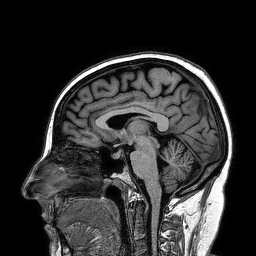
3 Tesla brain MRI. Series: 3D T1-weighted turbo field echo. Study: ring-enhancing brain masses.